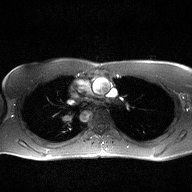
2D phase-contrast cine MRI of the ascending aorta, high-resolution GRAPPA acquisition.